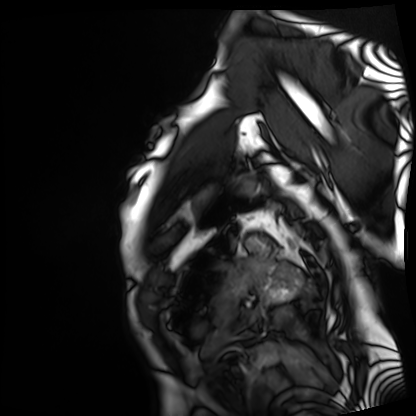
- modality — cardiac MRI
- subject group — patient